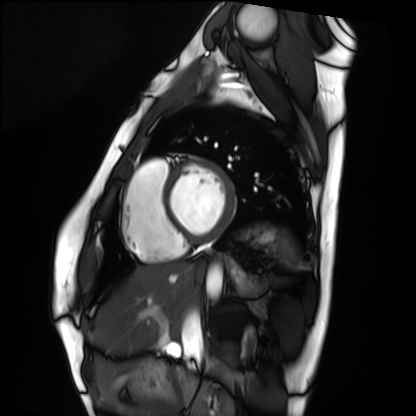
Summary:
Cardiac MRI. Subject group: healthy volunteer.